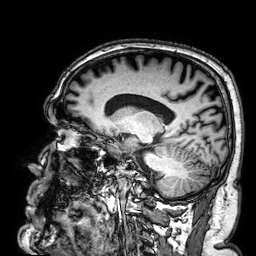
modality — 3 Tesla brain MRI; series — 3D T1-weighted; study — ring-enhancing brain masses.